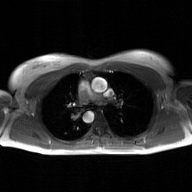
  modality:
    type: 2D phase-contrast cine MRI
    region: ascending aorta
    reconstruction: GAN super-resolution reconstruction